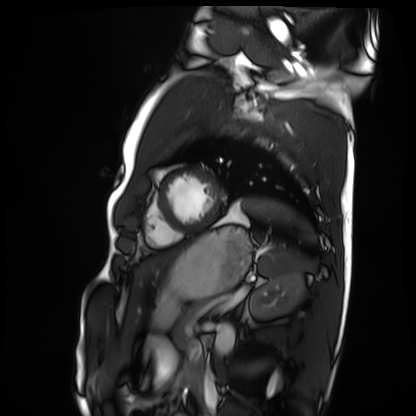
modality: cardiac MRI
subject group: healthy volunteer